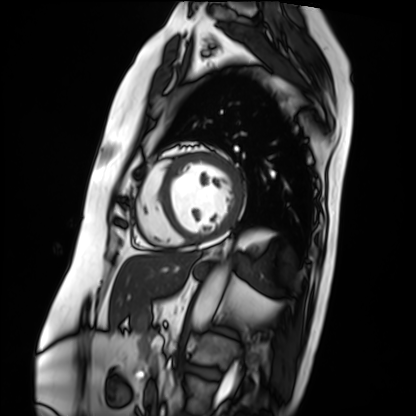
Q: What kind of scan is this?
A: Cardiac MRI.
Subject group: patient.